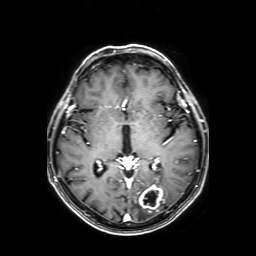
3 Tesla brain MRI. Study: ring-enhancing brain masses.